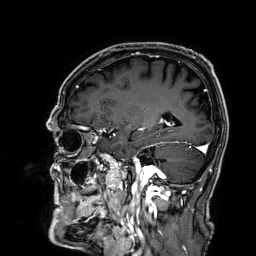
modality: 3 Tesla brain MRI
series: 3D T1-weighted
study: ring-enhancing brain masses